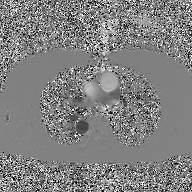
{
  "modality": {
    "type": "2D phase-contrast cine MRI",
    "region": "ascending aorta",
    "reconstruction": "GAN super-resolution reconstruction"
  }
}